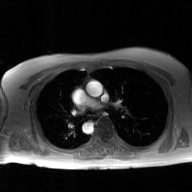
modality — 2D phase-contrast cine MRI of the ascending aorta, GAN super-resolution reconstruction.